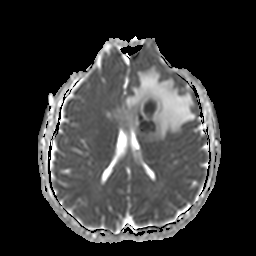
Case summary:
3 Tesla brain MRI. Series: apparent diffusion coefficient (ADC) map. Study: ring-enhancing brain masses.